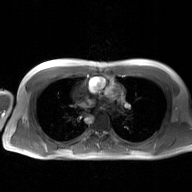
• modality: 2D phase-contrast cine MRI of the ascending aorta, GAN super-resolution reconstruction